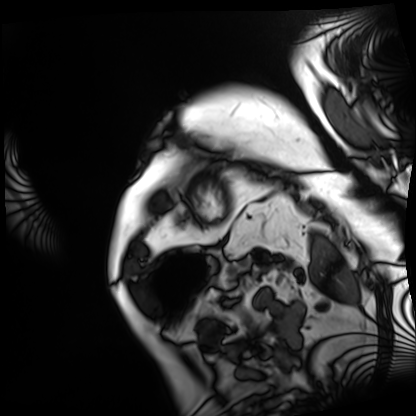
modality: cardiac MRI; subject group: patient.